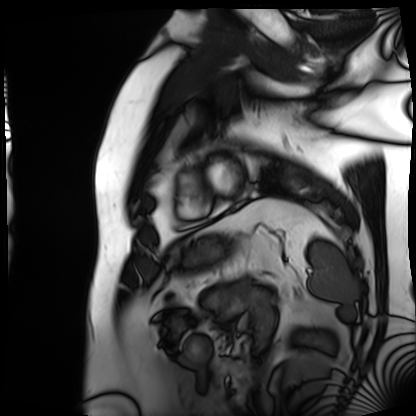
  modality: cardiac MRI
  cohort: patient